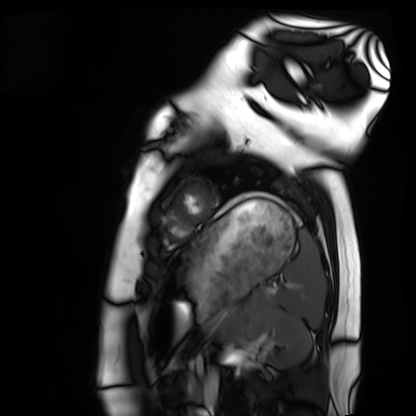
modality: cardiac MRI | subject group: healthy volunteer.